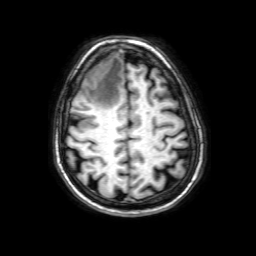
| field | value |
|---|---|
| modality | 3 Tesla brain MRI |
| series | 3D T1-weighted with SENSE |
| study | ring-enhancing brain masses |